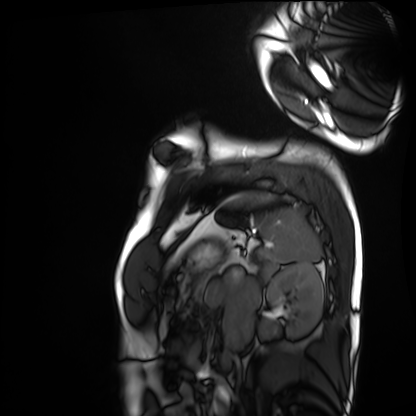
Cardiac MRI.
Subject group: healthy volunteer.